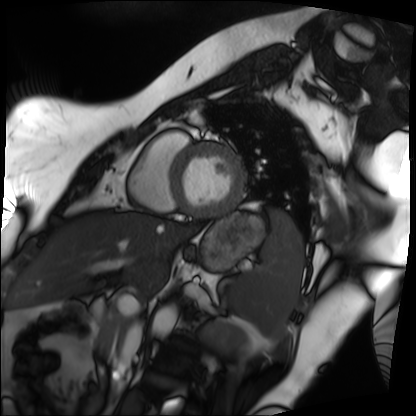
modality: cardiac MRI
cohort: patient